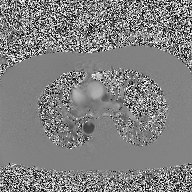
modality:
  type: 2D phase-contrast cine MRI
  region: ascending aorta
  reconstruction: high-resolution GRAPPA acquisition